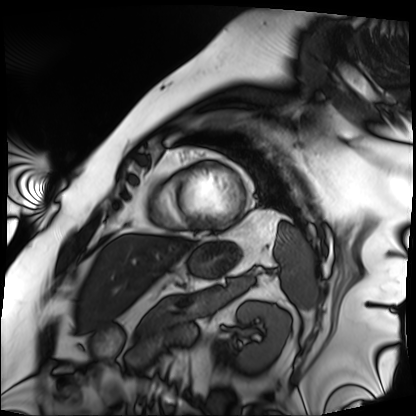
Cardiac MRI.
Subject group: patient.